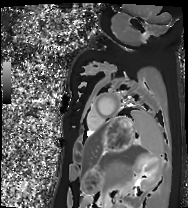
| field | value |
|---|---|
| modality | cardiac MRI |
| subject group | healthy volunteer |